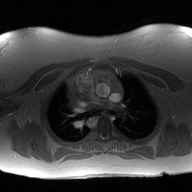
- modality — 2D phase-contrast cine MRI of the ascending aorta